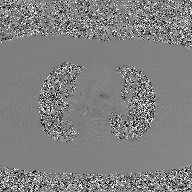
– modality — 2D phase-contrast cine MRI of the ascending aorta, GAN super-resolution reconstruction